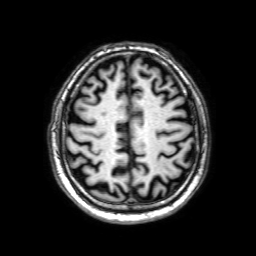
• modality — 3 Tesla brain MRI
• study — ring-enhancing brain masses